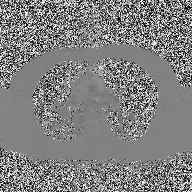
– modality: 2D phase-contrast cine MRI of the ascending aorta